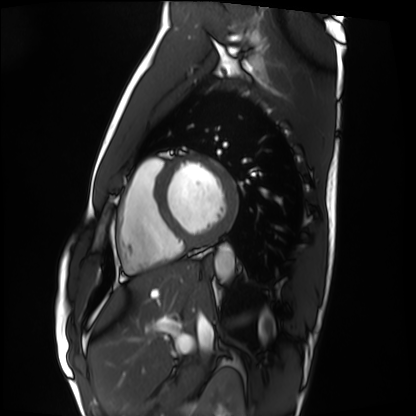
Case summary:
Cardiac MRI. Subject group: healthy volunteer.